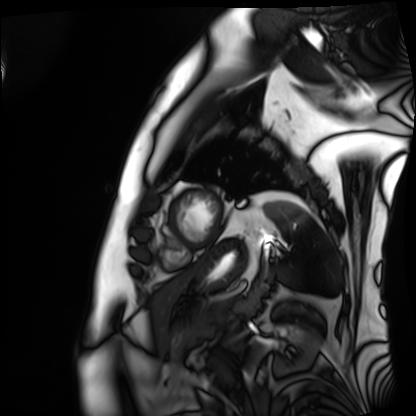
modality: cardiac MRI, subject group: patient.